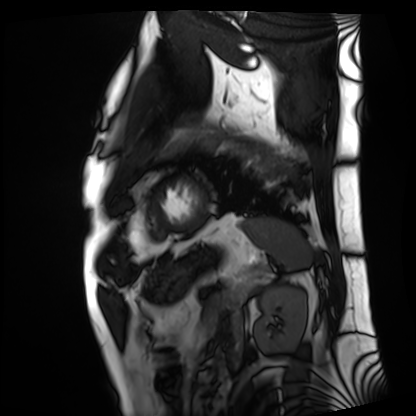
  modality: cardiac MRI
  cohort: patient